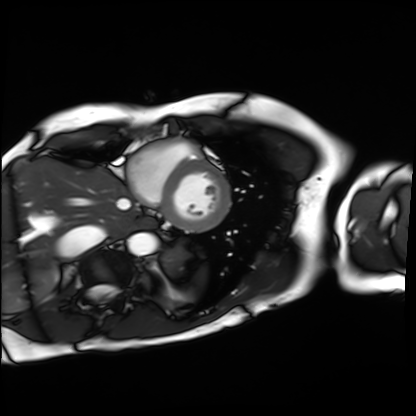
modality = cardiac MRI, subject group = patient.